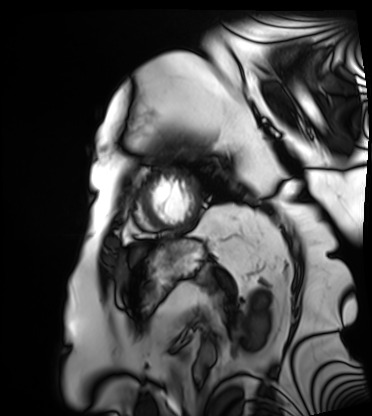
Cardiac MRI.
Subject group: patient.